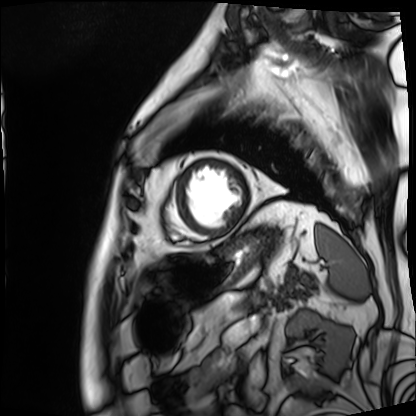
Cardiac MRI.
Subject group: patient.